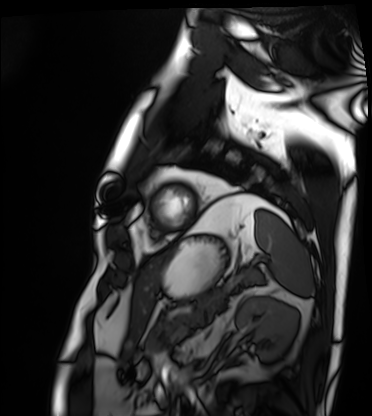
modality: cardiac MRI | subject group: patient.